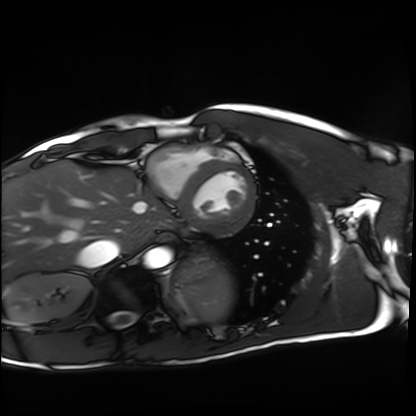
Summary:
Cardiac MRI. Subject group: healthy volunteer.